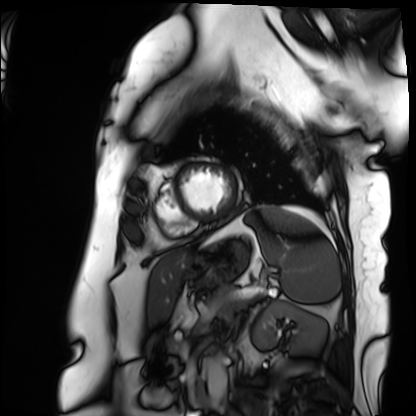
Cardiac MRI. Subject group: patient.